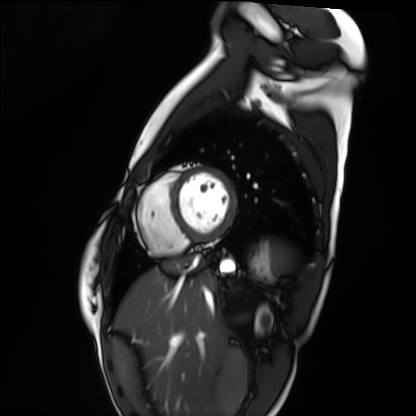
Case:
* modality: cardiac MRI
* subject group: healthy volunteer